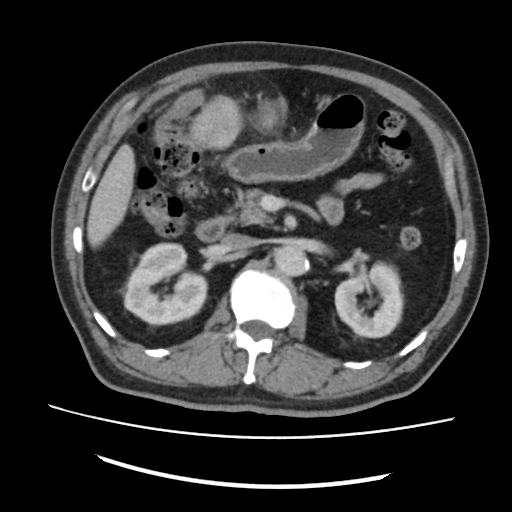
{"modality": {"type": "multiphase abdominal CT", "region": "liver", "phase": "portal venous"}, "patient": {"sex": "male", "age": 72}, "history": ["cirrhosis", "viral hepatitis"]}